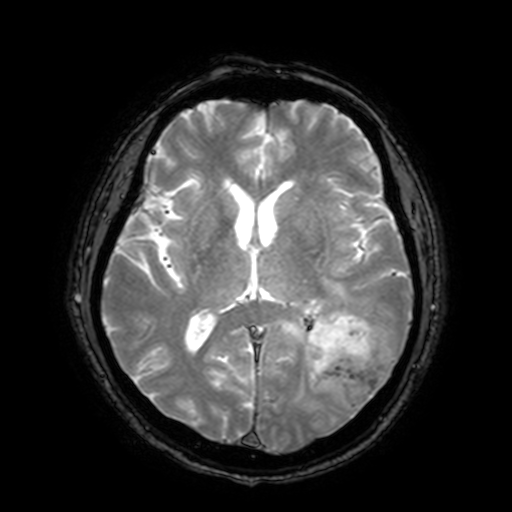
3 Tesla brain MRI. Series: T2-weighted fast field echo with SENSE. Study: ring-enhancing brain masses.